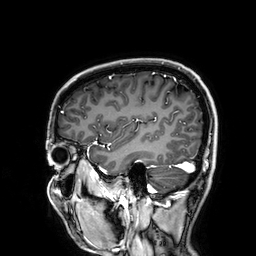
- modality — 3 Tesla brain MRI
- series — 3D T1-weighted
- study — ring-enhancing brain masses